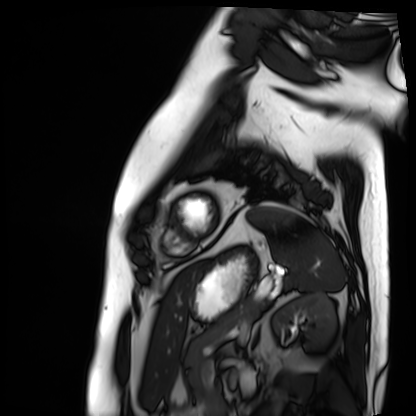
Summary: Cardiac MRI. Subject group: patient.